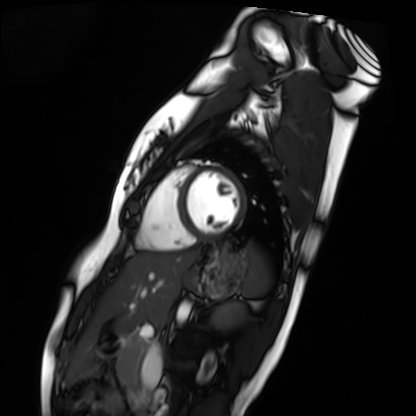
Q: What kind of scan is this?
A: Cardiac MRI.
Subject group: healthy volunteer.